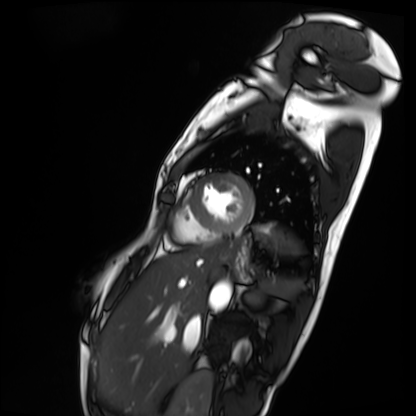
modality: cardiac MRI | subject group: patient.